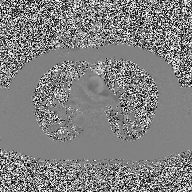
• modality: 2D phase-contrast cine MRI of the ascending aorta